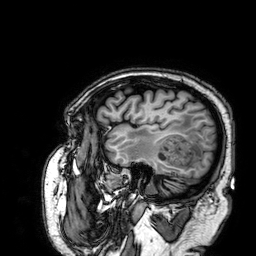
- modality — 3 Tesla brain MRI
- series — 3D T1-weighted
- study — ring-enhancing brain masses